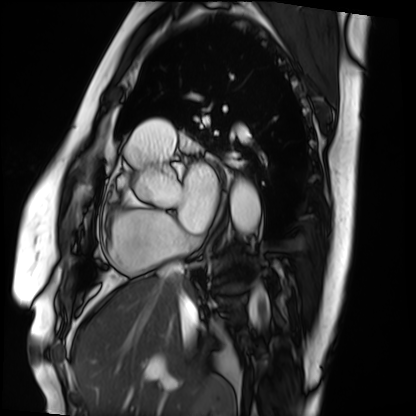
– modality · cardiac MRI
– subject group · patient